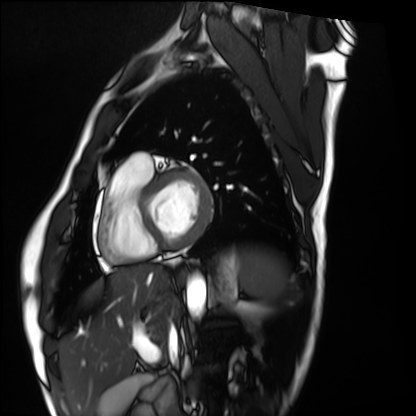
Q: What kind of scan is this?
A: Cardiac MRI.
Subject group: healthy volunteer.